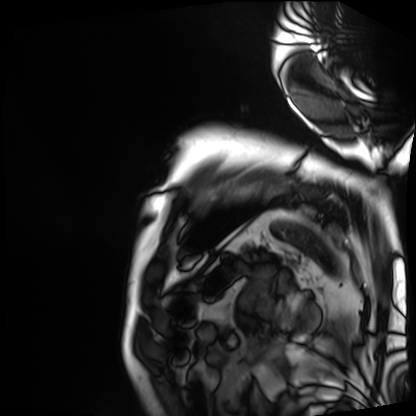
modality: cardiac MRI | subject group: patient.